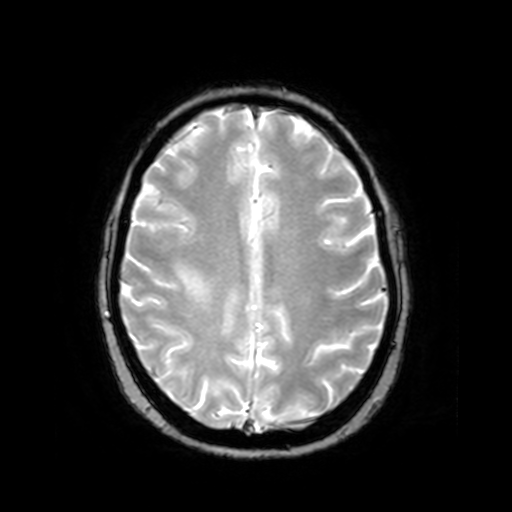
modality: 3 Tesla brain MRI | series: T2-weighted fast field echo | study: ring-enhancing brain masses.